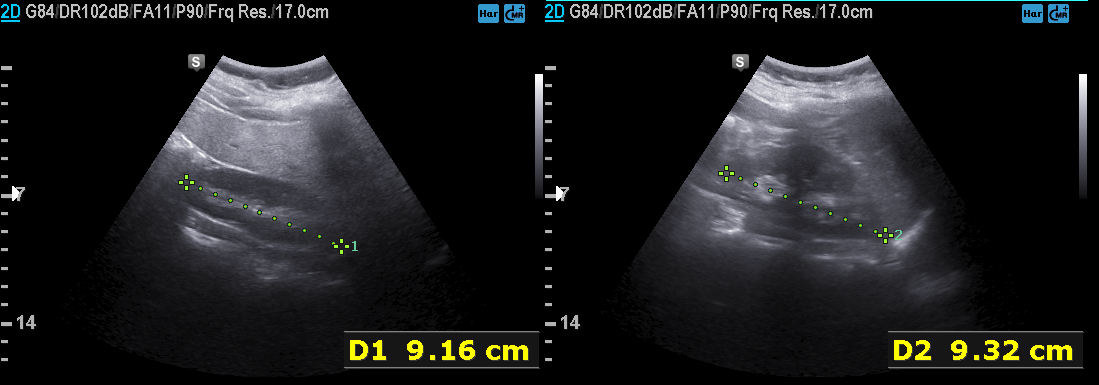
Case:
- modality · genitourinary ultrasound